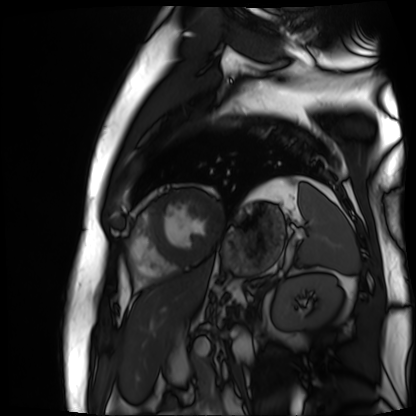
Cardiac MR image of the myocardium. Subject cohort: cardiac patient.